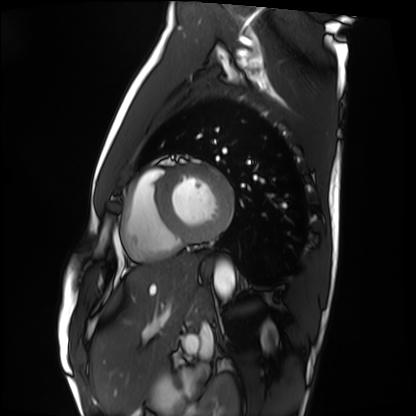
Case summary: Cardiac MRI. Subject group: healthy volunteer.